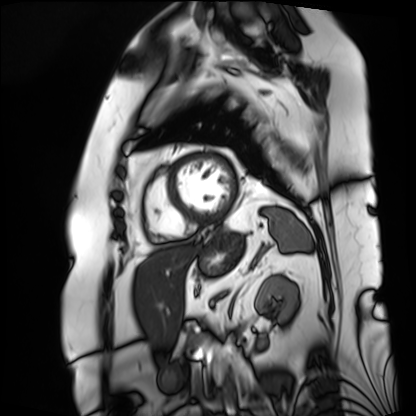
Q: What kind of scan is this?
A: Cardiac MRI.
Subject group: patient.